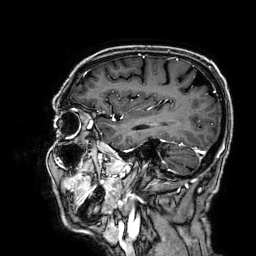
| field | value |
|---|---|
| modality | 3 Tesla brain MRI |
| series | 3D T1-weighted |
| study | ring-enhancing brain masses |